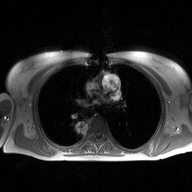
2D phase-contrast cine MRI of the ascending aorta, high-resolution GRAPPA acquisition.